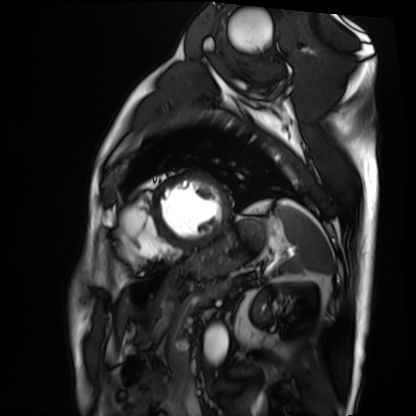
{"modality": "cardiac MRI", "cohort": "patient"}